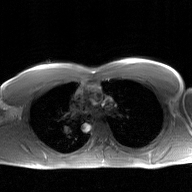
Q: What kind of scan is this?
A: 2D phase-contrast cine MRI of the ascending aorta, GAN super-resolution reconstruction.